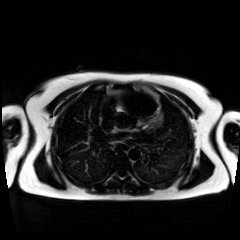
Chemical-shift-encoded cardiac MRI.